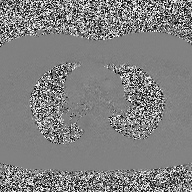
{"modality": {"type": "2D phase-contrast cine MRI", "region": "ascending aorta", "reconstruction": "high-resolution GRAPPA acquisition"}}